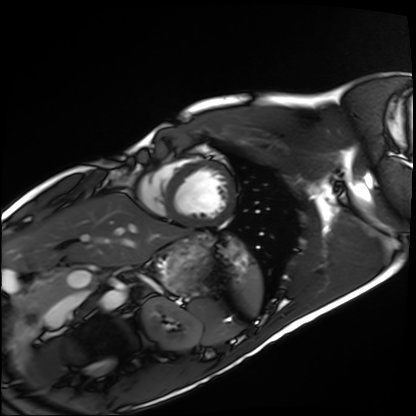
| field | value |
|---|---|
| modality | cardiac MRI |
| subject group | healthy volunteer |